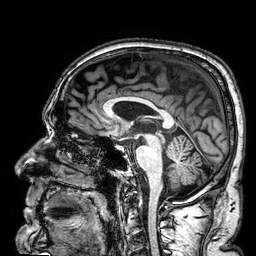
| field | value |
|---|---|
| modality | 3 Tesla brain MRI |
| series | 3D T1-weighted |
| study | ring-enhancing brain masses |